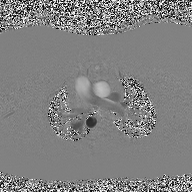
2D phase-contrast cine MRI of the ascending aorta, high-resolution GRAPPA acquisition.